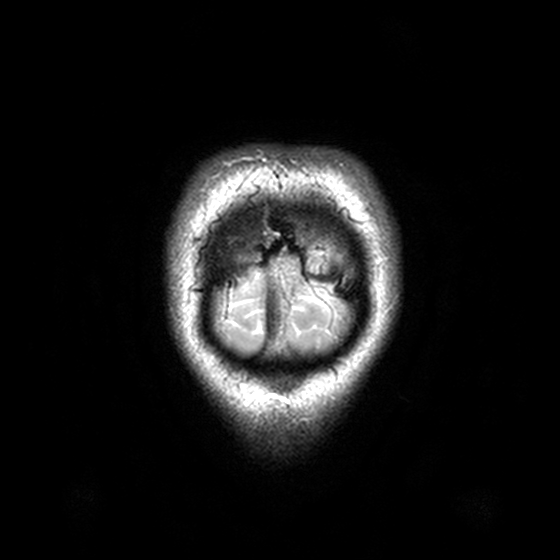
modality: 3 Tesla brain MRI; series: T2-weighted turbo spin echo, 3 mm; study: ring-enhancing brain masses.